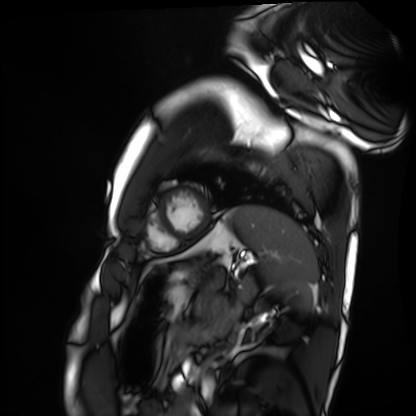
<record>
  <modality>cardiac MRI</modality>
  <cohort>healthy volunteer</cohort>
</record>